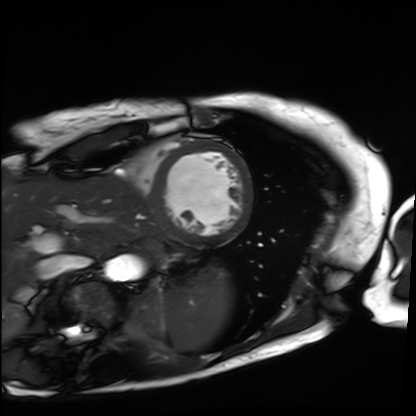
Q: What kind of scan is this?
A: Cardiac MRI.
Subject group: patient.